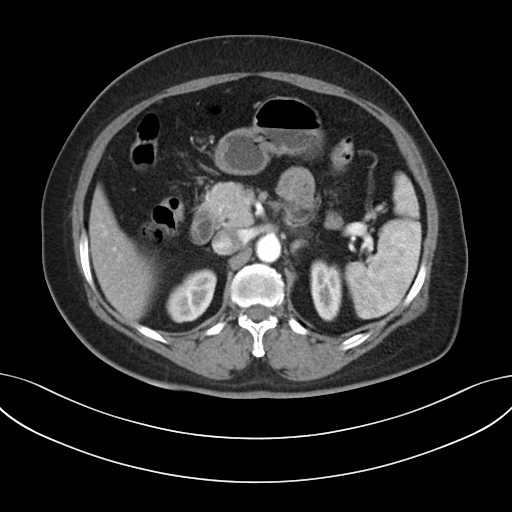
Multiphase abdominal CT, liver, arterial phase.
Patient: female, age 54.